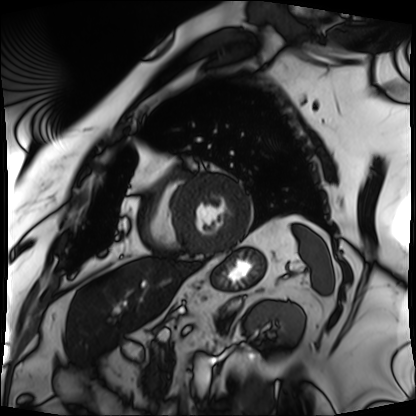
Cardiac MRI.
Subject group: patient.